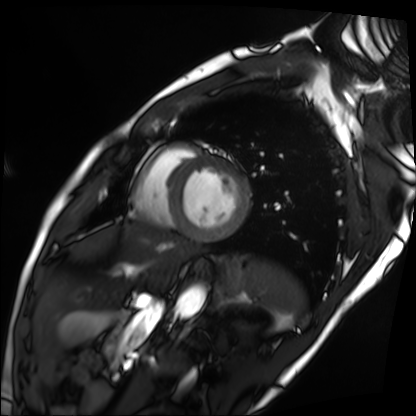
- modality — cardiac MRI
- subject group — patient